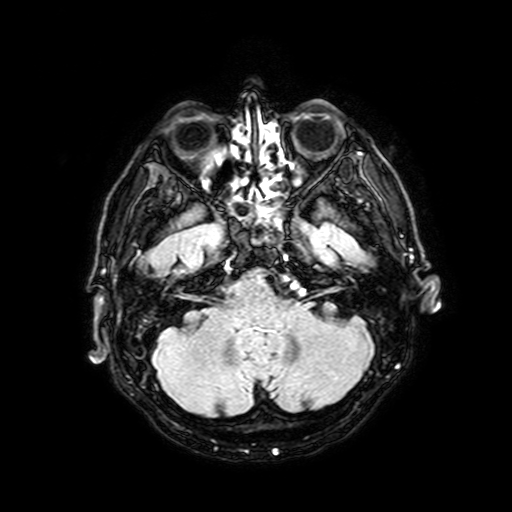
Case summary:
3 Tesla brain MRI. Series: FLAIR with SPAIR, 3 mm. Study: ring-enhancing brain masses.